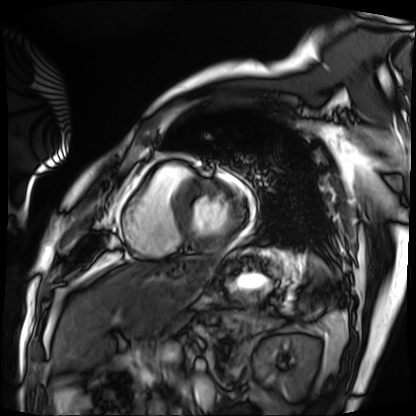
modality: cardiac MRI; subject group: patient.